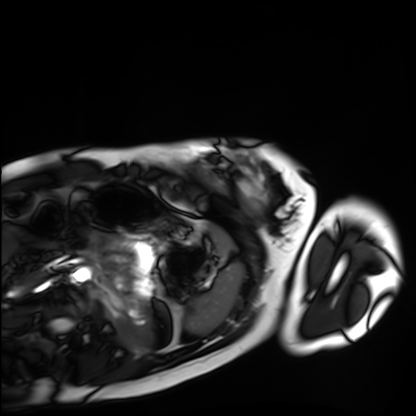
Q: What kind of scan is this?
A: Cardiac MRI.
Subject group: healthy volunteer.